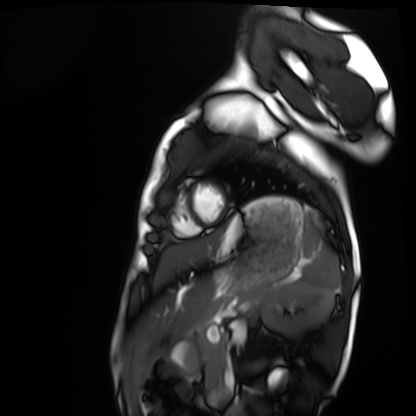
Cardiac MRI. Subject group: healthy volunteer.